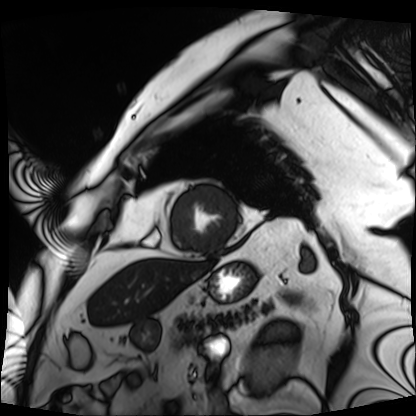
- modality — cardiac MRI
- subject group — patient